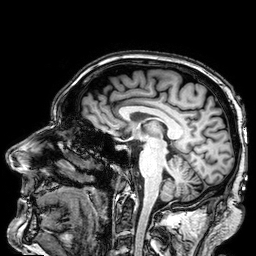
Clinical context:
3 Tesla brain MRI. Series: 3D T1-weighted. Study: ring-enhancing brain masses.